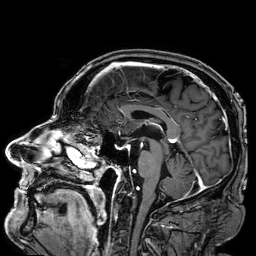
modality:
  type: brain MRI
  field_strength: 3T
study_topic: ring-enhancing brain masses